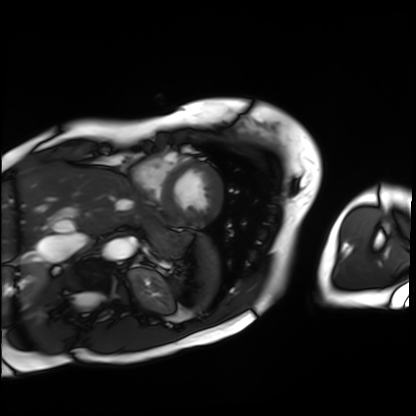
modality: cardiac MRI, subject group: patient.